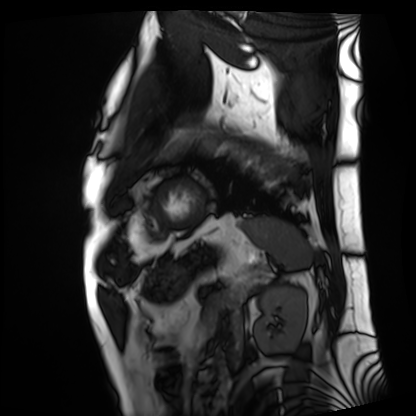
modality: cardiac MRI | subject group: patient.